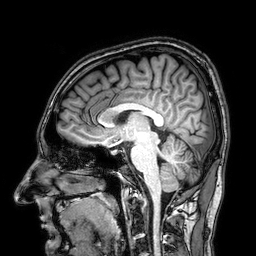
3 Tesla brain MRI. Series: 3D T1-weighted. Study: ring-enhancing brain masses.